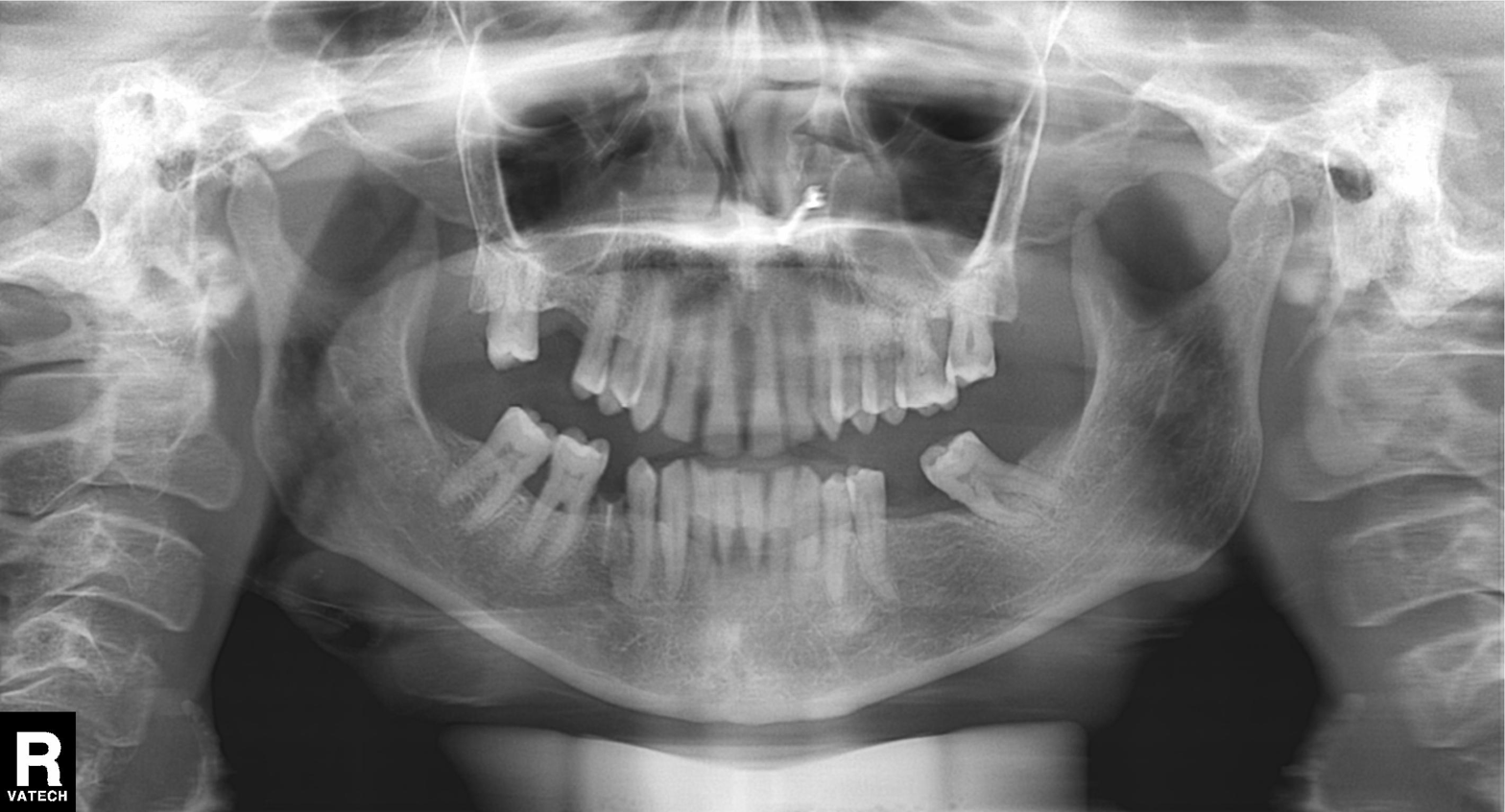
modality = panoramic dental radiograph (orthopantomogram), finding = alveolar bone loss.